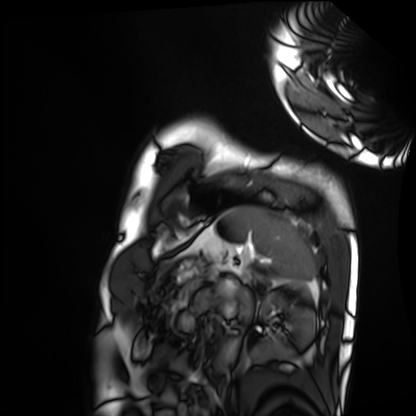
Cardiac MRI. Subject group: healthy volunteer.